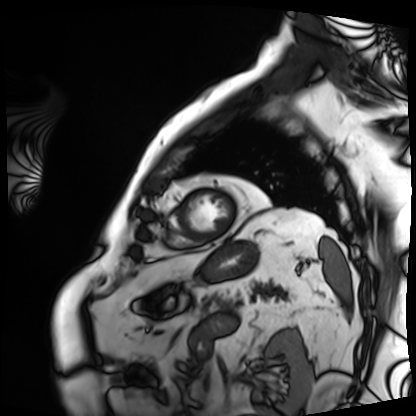
– modality: cardiac MRI
– subject group: patient